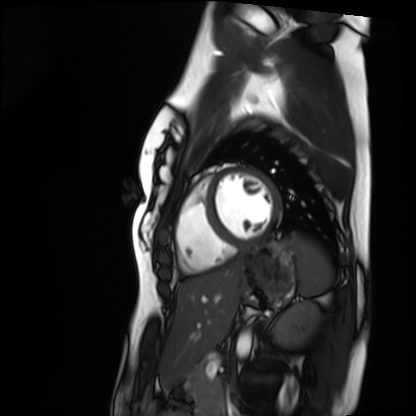
  modality: cardiac MRI
  cohort: healthy volunteer